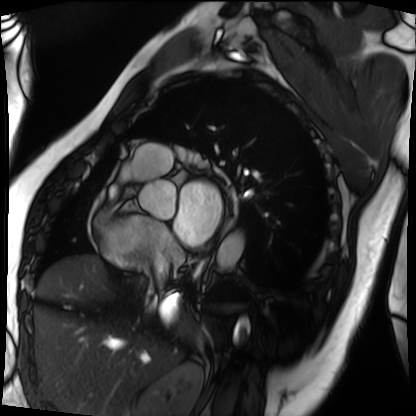
Summary:
Cardiac MRI. Subject group: patient.